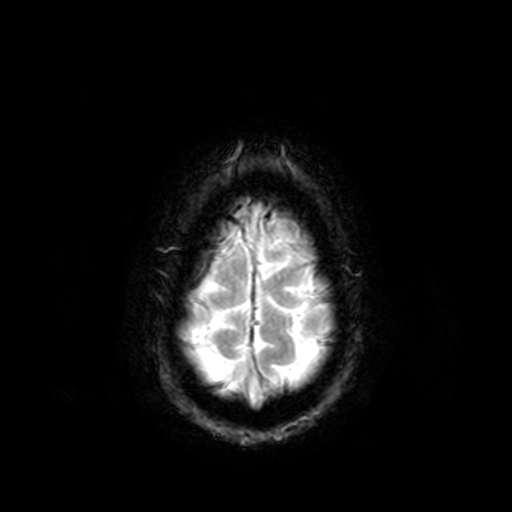
{
  "modality": {
    "type": "brain MRI",
    "field_strength": "3T"
  },
  "series": "T2-weighted fast field echo",
  "study_topic": "ring-enhancing brain masses"
}